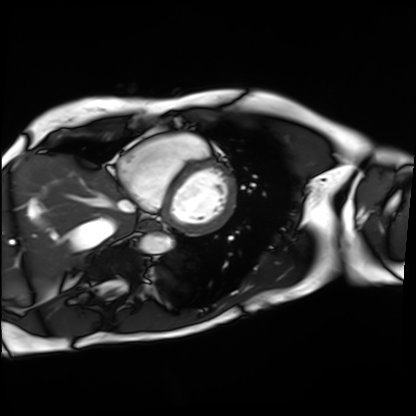
Clinical context: Cardiac MRI. Subject group: patient.